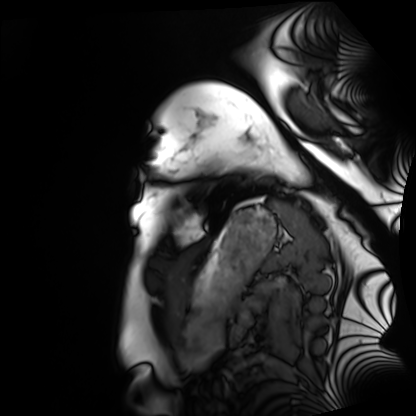
Case summary: Cardiac MRI. Subject group: healthy volunteer.